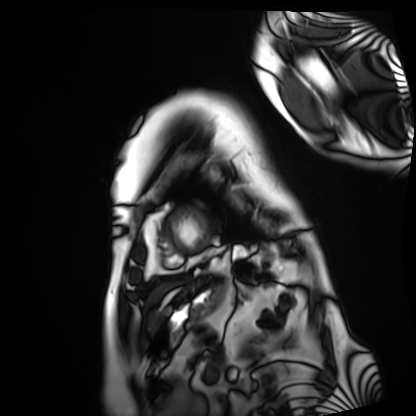
Cardiac MRI. Subject group: patient.